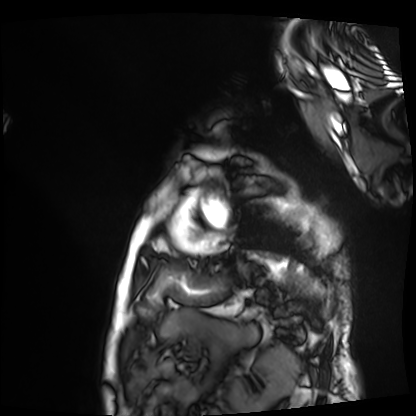
Cardiac MRI.
Subject group: patient.